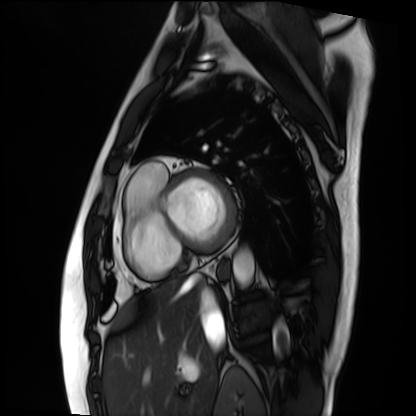
Cardiac MRI. Subject group: patient.